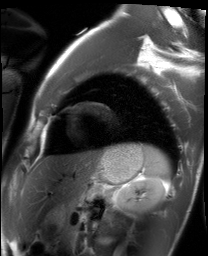
Summary: Cardiac MRI. Subject group: healthy volunteer.